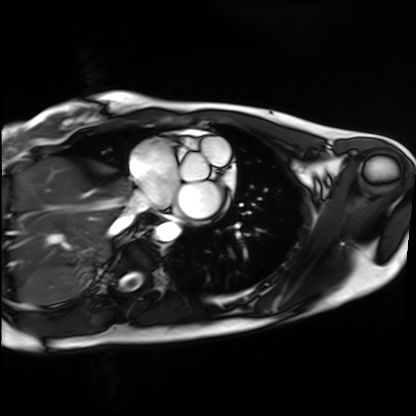
{
  "modality": "cardiac MRI",
  "cohort": "healthy volunteer"
}